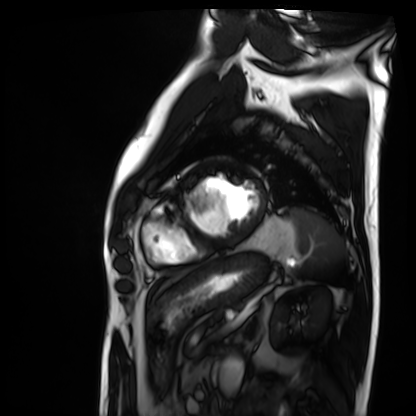
modality=cardiac MRI | subject group=patient.